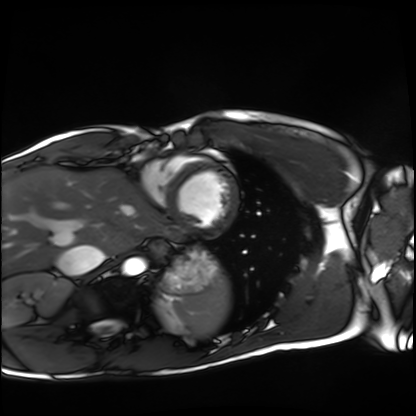
Cardiac MRI.
Subject group: healthy volunteer.